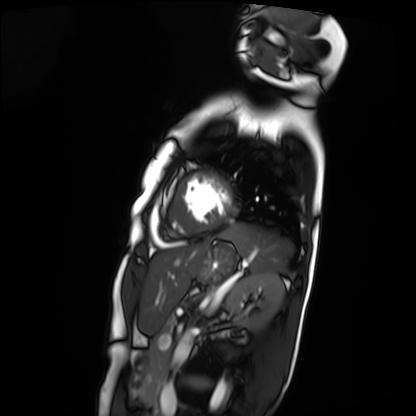
Cardiac MRI. Subject group: patient.